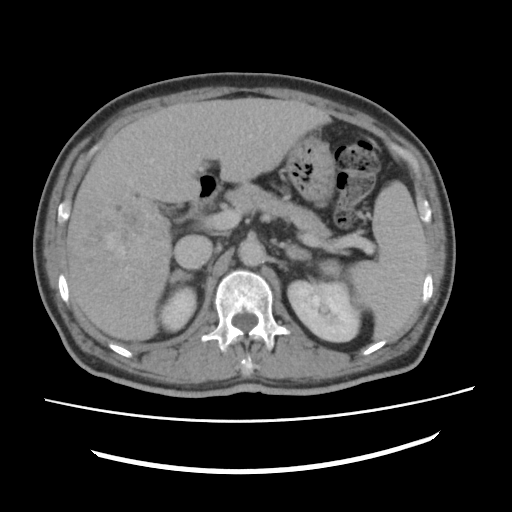
{"modality": {"type": "multiphase abdominal CT", "region": "liver", "phase": "delayed"}, "patient": {"sex": "male", "age": 60}, "history": ["viral hepatitis", "prior chemotherapy"]}